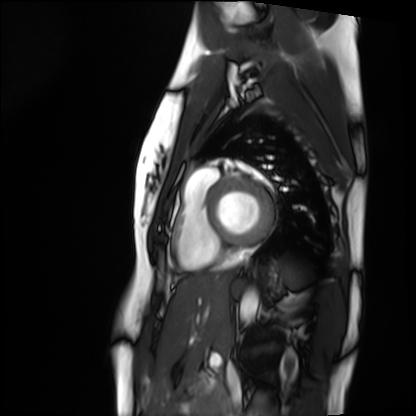
Cardiac MRI. Subject group: healthy volunteer.